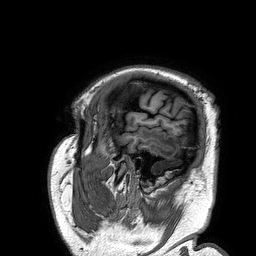
modality:
  type: brain MRI
  field_strength: 3T
series: 3D T1-weighted turbo field echo
study_topic: ring-enhancing brain masses